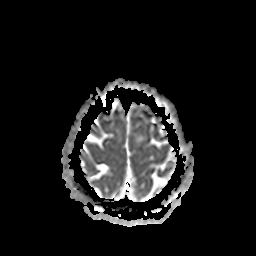
Summary:
3 Tesla brain MRI. Series: apparent diffusion coefficient (ADC) map. Study: ring-enhancing brain masses.